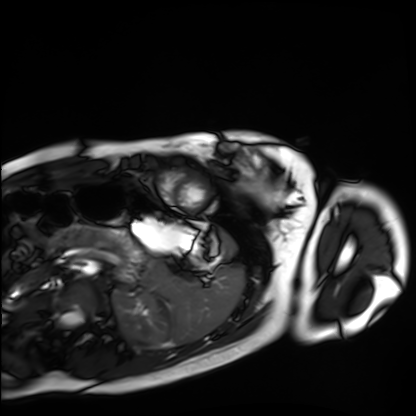
Case summary:
Cardiac MRI. Subject group: healthy volunteer.